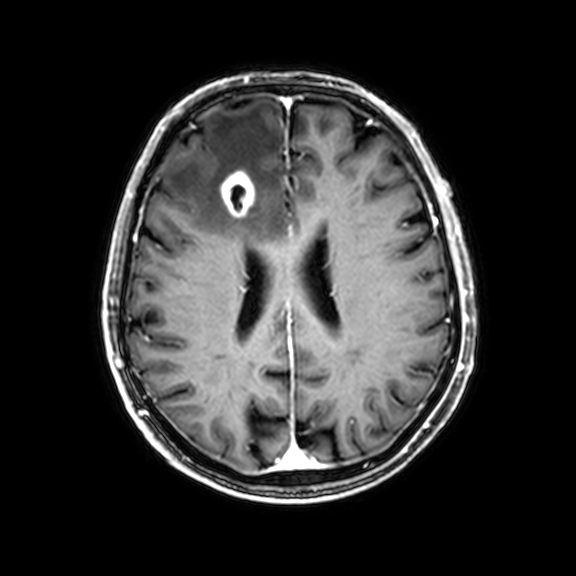
modality = 3 Tesla brain MRI | series = 3D T1-weighted with CLEAR | study = ring-enhancing brain masses.